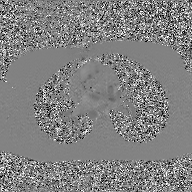
2D phase-contrast cine MRI of the ascending aorta, GAN super-resolution reconstruction.